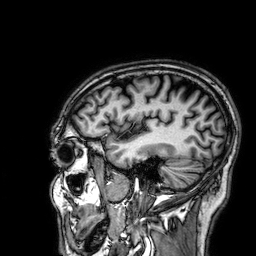
3 Tesla brain MRI. Study: ring-enhancing brain masses.